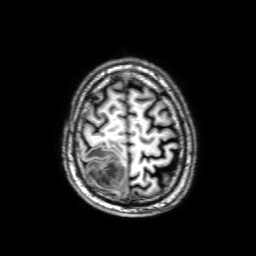
<study>
<modality>
  <type>brain MRI</type>
  <field_strength>3T</field_strength>
</modality>
<series>3D T1-weighted with SENSE</series>
<study_topic>ring-enhancing brain masses</study_topic>
</study>